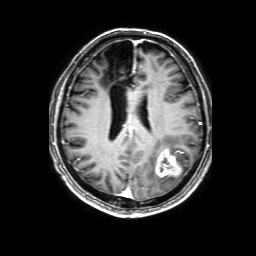
modality: 3 Tesla brain MRI; series: 3D T1-weighted with SENSE; study: ring-enhancing brain masses.